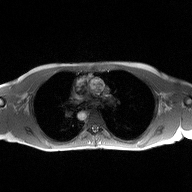
<scan>
<modality>
  <type>2D phase-contrast cine MRI</type>
  <region>ascending aorta</region>
  <reconstruction>high-resolution GRAPPA acquisition</reconstruction>
</modality>
</scan>